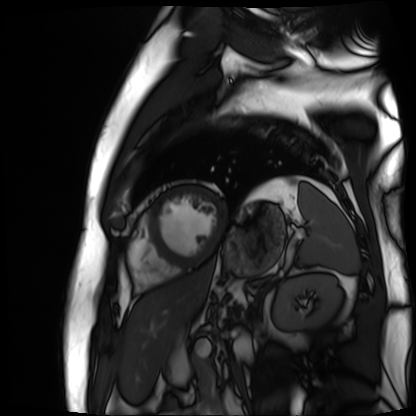
Cardiac MR image of the myocardium. Subject cohort: cardiac patient.